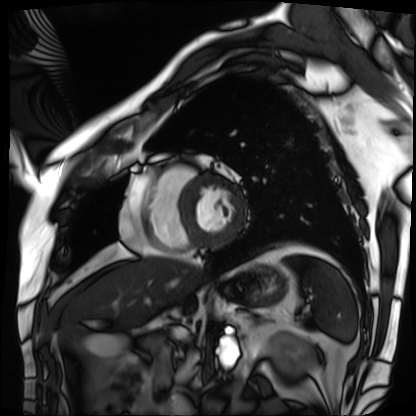
Cardiac MRI.
Subject group: patient.